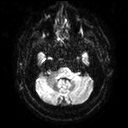
Q: What kind of scan is this?
A: 3 Tesla brain MRI.
Q: Series?
A: Diffusion tensor imaging (medium iso).
Study: ring-enhancing brain masses.